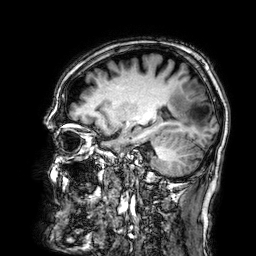
3 Tesla brain MRI.
Series: 3D T1-weighted.
Study: ring-enhancing brain masses.